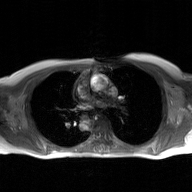
<case>
<modality>
  <type>2D phase-contrast cine MRI</type>
  <region>ascending aorta</region>
  <reconstruction>GAN super-resolution reconstruction</reconstruction>
</modality>
</case>